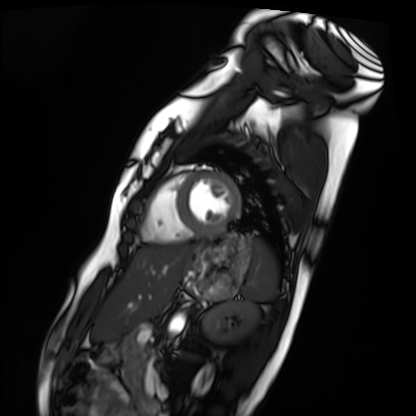
Summary: Cardiac MRI. Subject group: healthy volunteer.